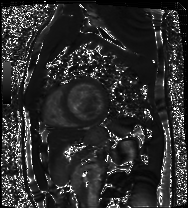
Case:
– modality — cardiac MRI
– subject group — patient